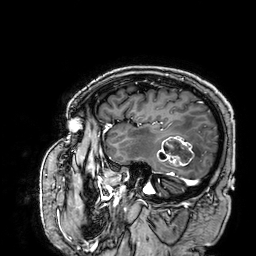
Case:
- modality — 3 Tesla brain MRI
- series — 3D T1-weighted
- study — ring-enhancing brain masses